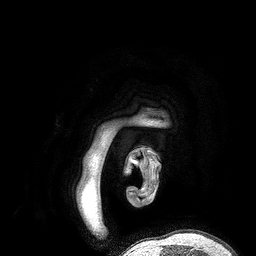
modality — 3 Tesla brain MRI | series — 3D T1-weighted turbo field echo | study — ring-enhancing brain masses.